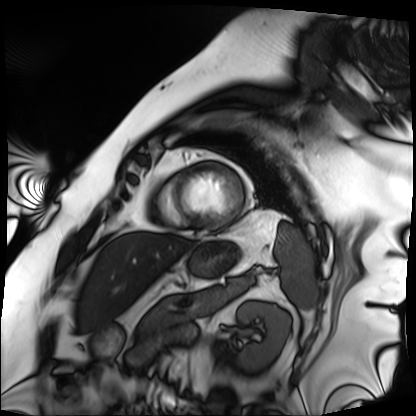
modality: cardiac MRI, subject group: patient.